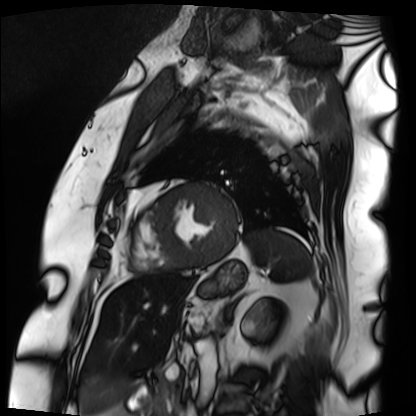
Q: What kind of scan is this?
A: Cardiac MRI.
Subject group: patient.